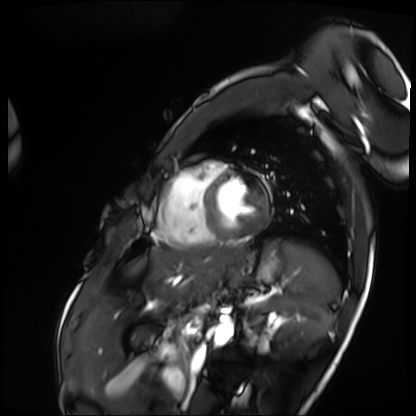
<record>
  <modality>cardiac MRI</modality>
  <cohort>patient</cohort>
</record>